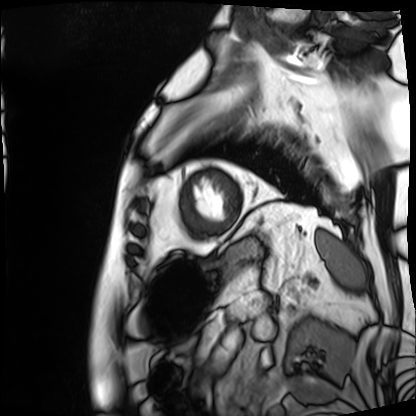
  modality: cardiac MRI
  cohort: patient